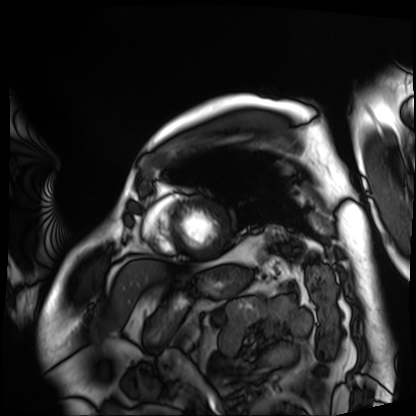
Summary:
Cardiac MRI. Subject group: patient.